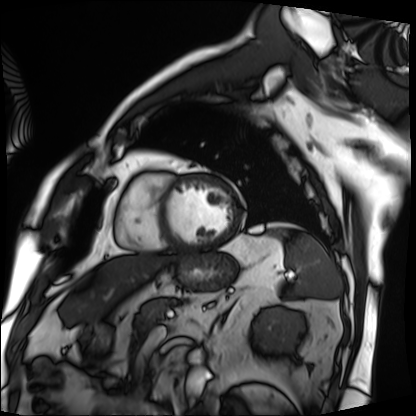
Cardiac MRI.
Subject group: patient.